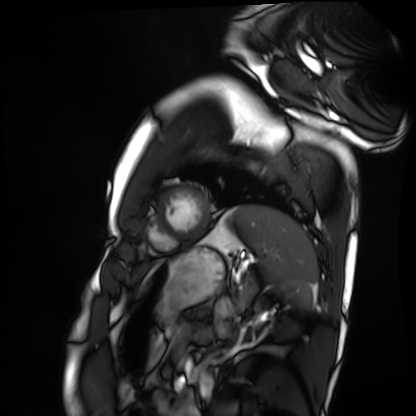
<scan>
<modality>cardiac MRI</modality>
<cohort>healthy volunteer</cohort>
</scan>